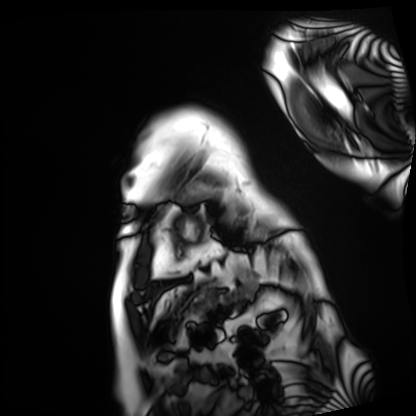
{"modality": "cardiac MRI", "cohort": "patient"}